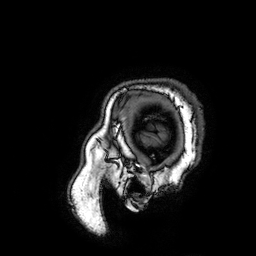
Case summary:
3 Tesla brain MRI. Series: 3D T1-weighted turbo field echo with SENSE. Study: ring-enhancing brain masses.